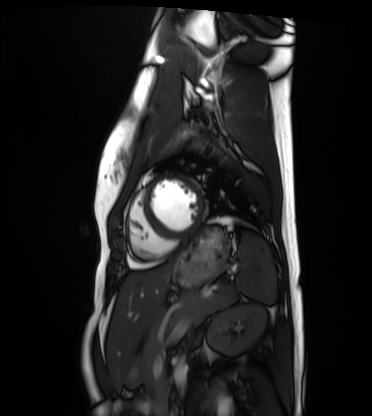
Cardiac MRI. Subject group: healthy volunteer.